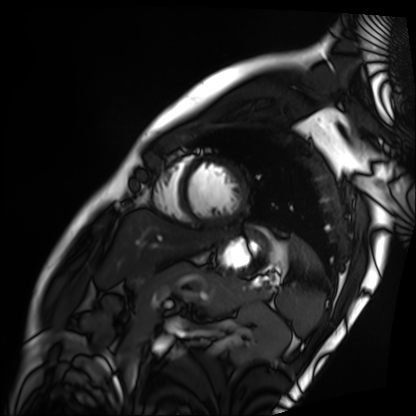
– modality — cardiac MRI
– subject group — patient